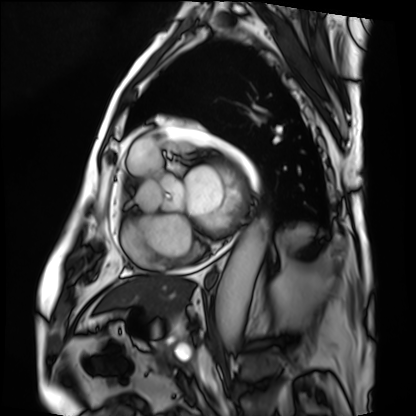
Cardiac MRI.
Subject group: patient.